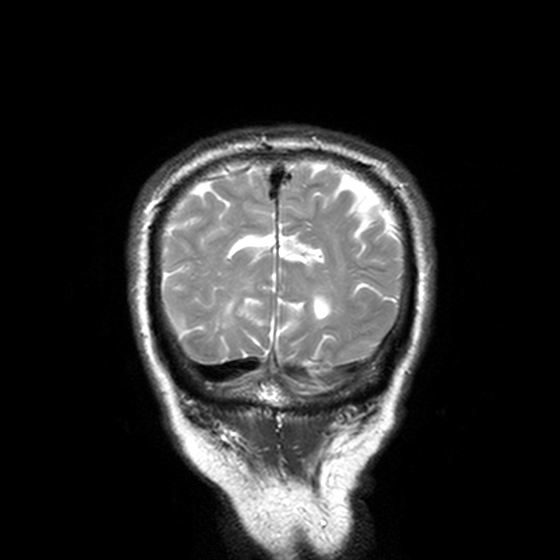
3 Tesla brain MRI.
Series: T2-weighted turbo spin echo, 3 mm.
Study: ring-enhancing brain masses.